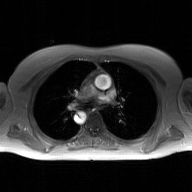
Clinical context: 2D phase-contrast cine MRI of the ascending aorta, GAN super-resolution reconstruction.